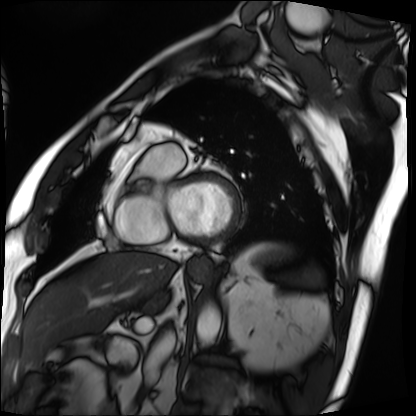
Cardiac MRI.
Subject group: patient.